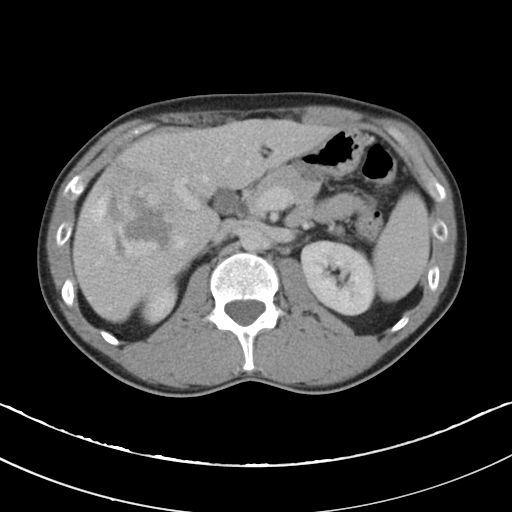
<scan>
  <modality>
    <type>multiphase abdominal CT</type>
    <region>liver</region>
    <phase>portal venous</phase>
  </modality>
  <patient>
    <sex>male</sex>
    <age>37</age>
  </patient>
</scan>